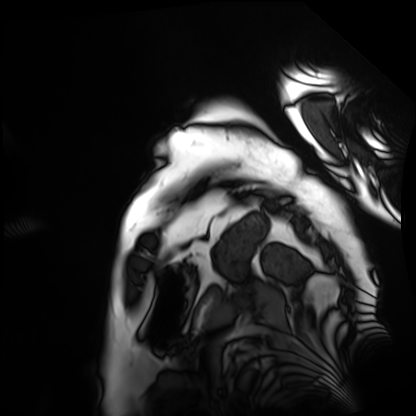
Summary: Cardiac MRI. Subject group: patient.